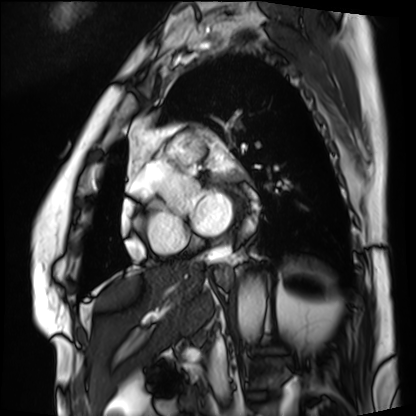
Cardiac MRI. Subject group: patient.